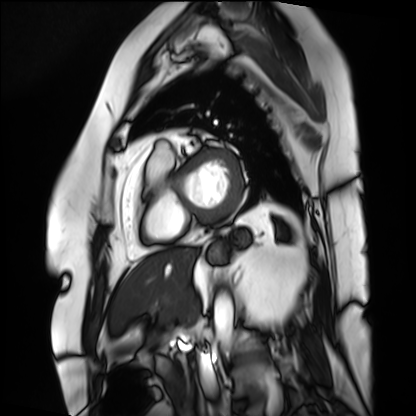
modality=cardiac MRI
subject group=patient